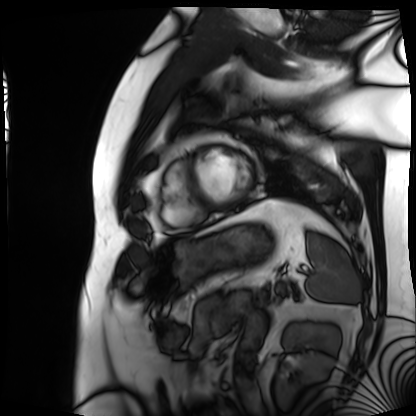
Summary:
Cardiac MRI. Subject group: patient.